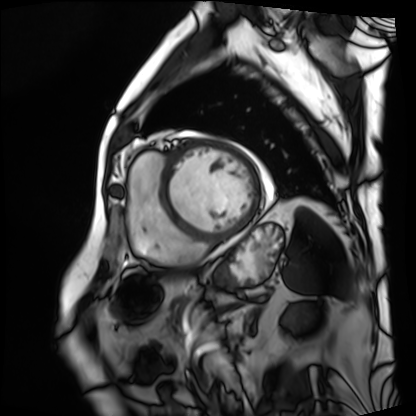
Cardiac MRI. Subject group: patient.